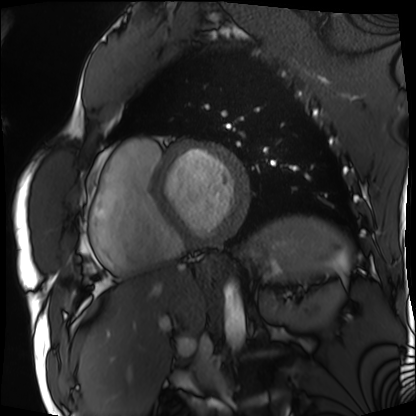
modality = cardiac MRI
subject group = patient